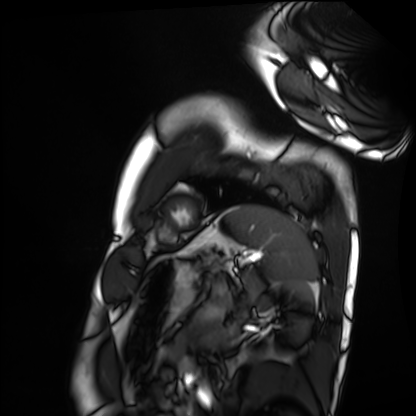
<record>
<modality>cardiac MRI</modality>
<cohort>healthy volunteer</cohort>
</record>